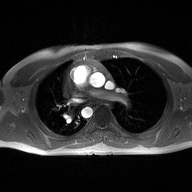
modality: 2D phase-contrast cine MRI of the ascending aorta.